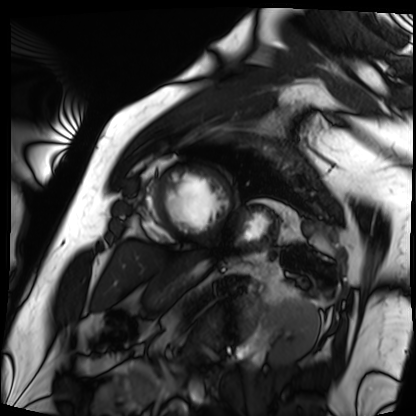
Cardiac MRI. Subject group: patient.